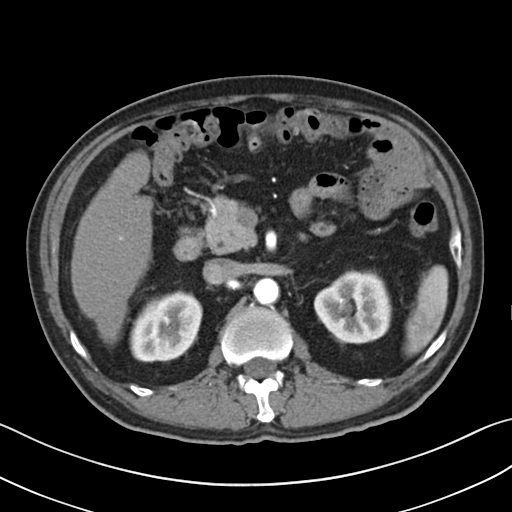
| field | value |
|---|---|
| modality | multiphase abdominal CT, liver, arterial phase |
| patient | male, age 60 |
| history | cirrhosis |